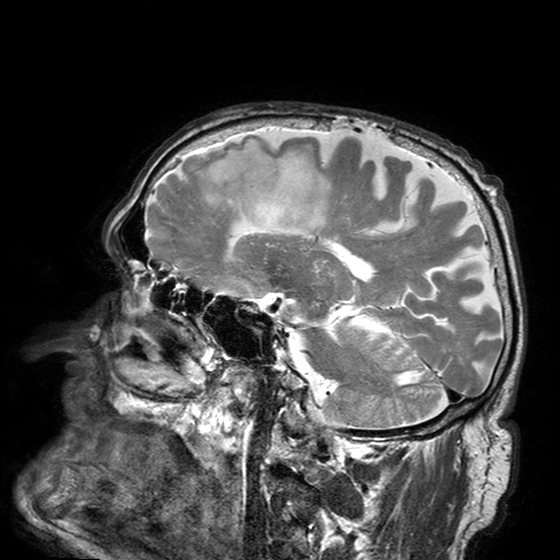
modality: 3 Tesla brain MRI; series: T2-weighted turbo spin echo with SENSE; study: ring-enhancing brain masses.